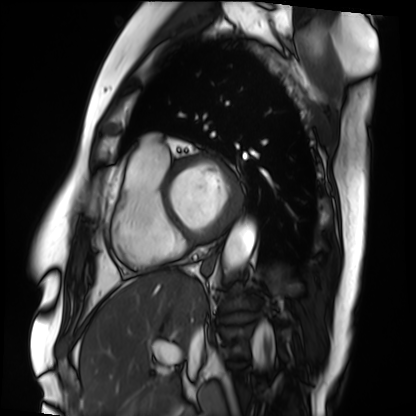
- modality — cardiac MRI
- subject group — patient